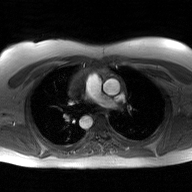
Q: What kind of scan is this?
A: 2D phase-contrast cine MRI of the ascending aorta, GAN super-resolution reconstruction.